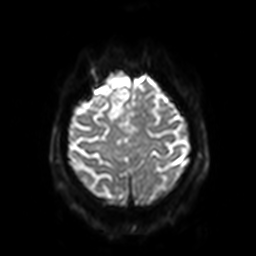
modality:
  type: brain MRI
  field_strength: 3T
series: diffusion-weighted imaging with SENSE (WIP)
study_topic: ring-enhancing brain masses